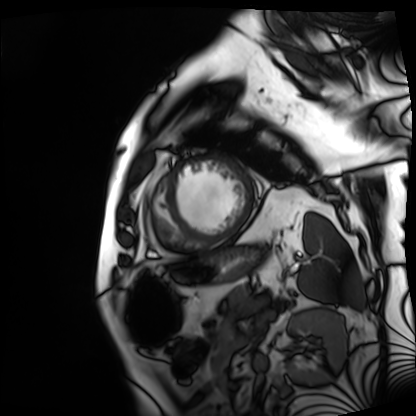
Cardiac MRI.
Subject group: patient.